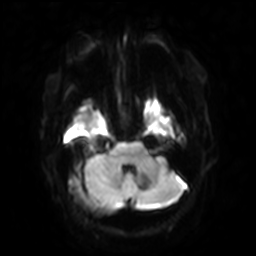
modality: 3 Tesla brain MRI
series: diffusion-weighted imaging with SENSE (WIP)
study: ring-enhancing brain masses